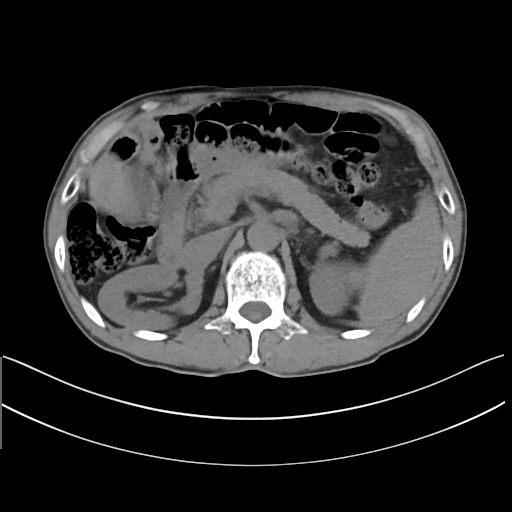
modality:
  type: multiphase abdominal CT
  region: liver
  phase: non-contrast
patient:
  sex: male
  age: 62
history:
  - cirrhosis
  - viral hepatitis
  - prior chemotherapy